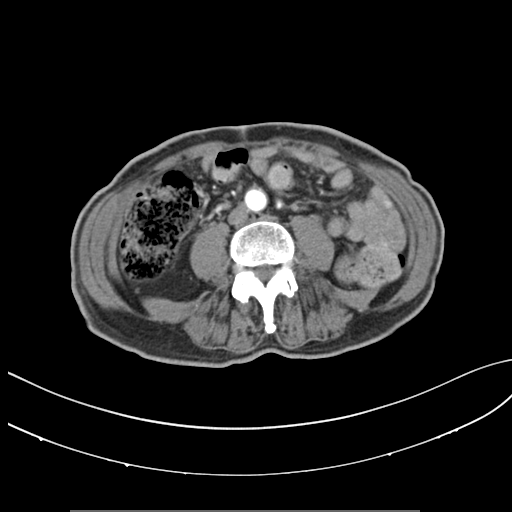
Summary:
Multiphase abdominal CT, liver, arterial phase. Patient: male, age 71. History: prior chemotherapy.